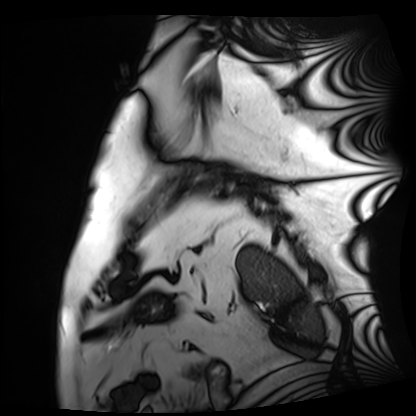
Case summary: Cardiac MRI. Subject group: patient.